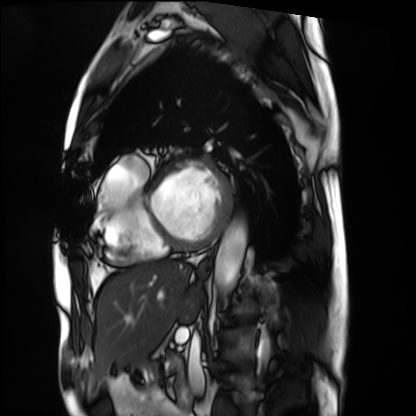
modality=cardiac MRI; subject group=patient.